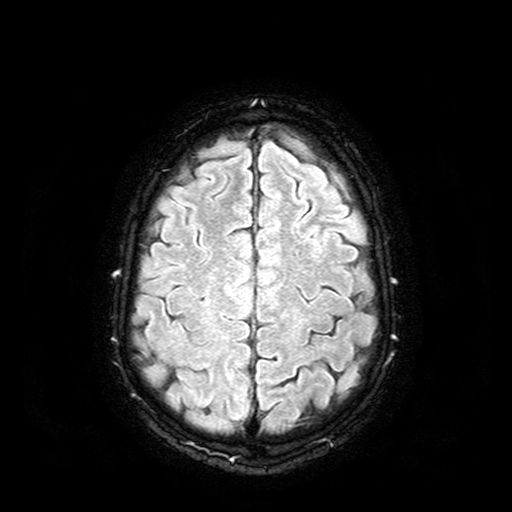
Summary: 3 Tesla brain MRI. Series: FLAIR with SPAIR. Study: ring-enhancing brain masses.